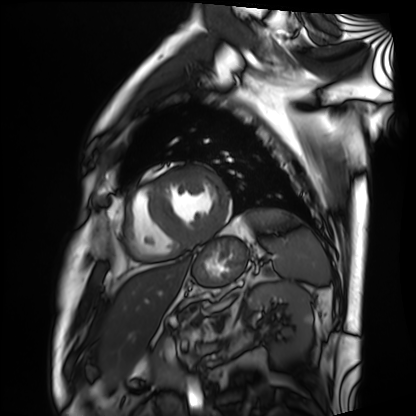
– modality — cardiac MRI
– subject group — patient